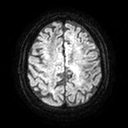
modality=3 Tesla brain MRI; study=ring-enhancing brain masses.